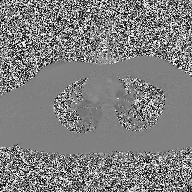
2D phase-contrast cine MRI of the ascending aorta, high-resolution GRAPPA acquisition.